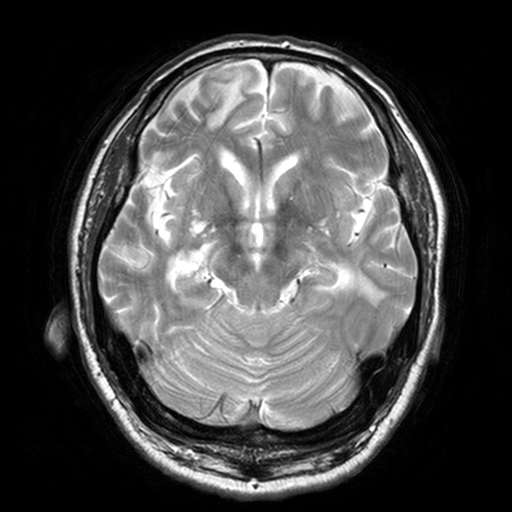
3 Tesla brain MRI. Series: T2-weighted turbo spin echo, 3 mm. Study: ring-enhancing brain masses.